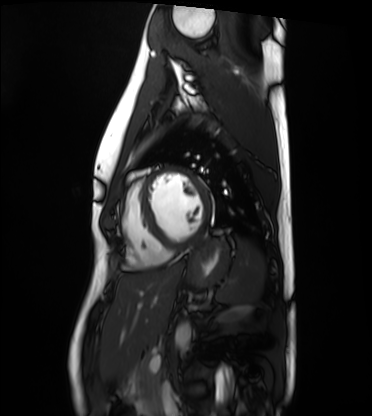
Case summary: Cardiac MRI. Subject group: healthy volunteer.